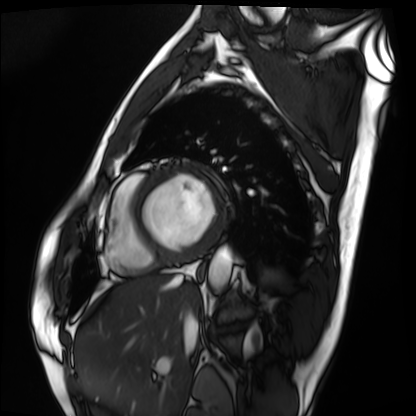
modality=cardiac MRI; subject group=patient.